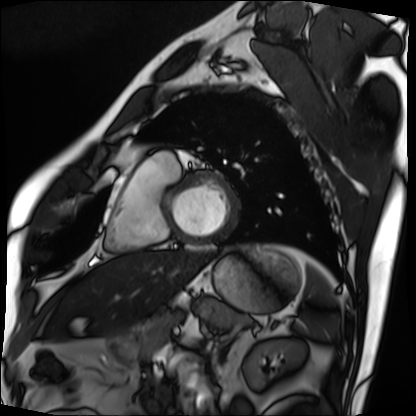
| field | value |
|---|---|
| modality | cardiac MRI |
| subject group | patient |